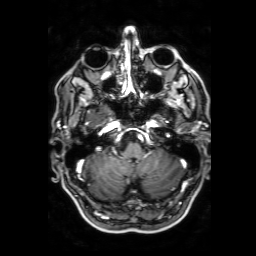
| field | value |
|---|---|
| modality | 3 Tesla brain MRI |
| series | 3D T1-weighted with SENSE |
| study | ring-enhancing brain masses |